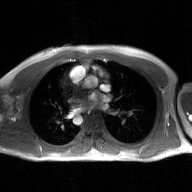
2D phase-contrast cine MRI of the ascending aorta, GAN super-resolution reconstruction.